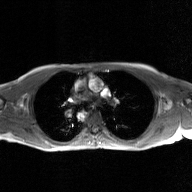
| field | value |
|---|---|
| modality | 2D phase-contrast cine MRI of the ascending aorta, GAN super-resolution reconstruction |